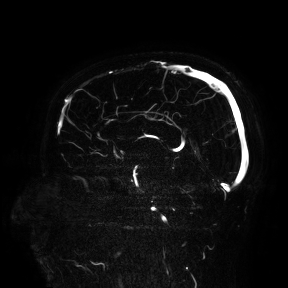
Case summary:
3 Tesla brain MRI. Study: ring-enhancing brain masses.